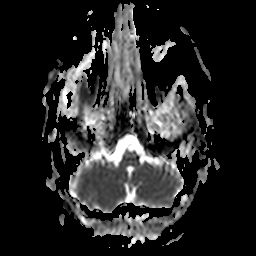
modality: 3 Tesla brain MRI
series: apparent diffusion coefficient (ADC) map
study: ring-enhancing brain masses